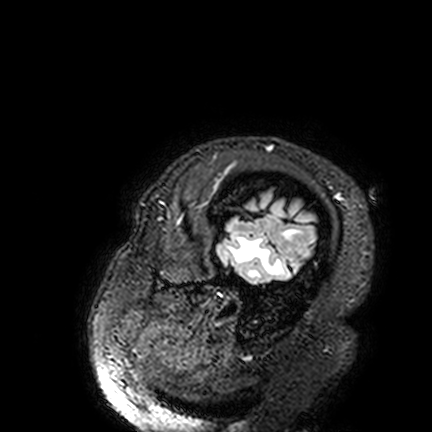
3 Tesla brain MRI. Series: FLAIR VISTA. Study: ring-enhancing brain masses.